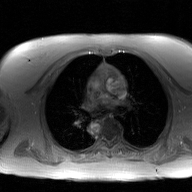
modality: 2D phase-contrast cine MRI of the ascending aorta, GAN super-resolution reconstruction